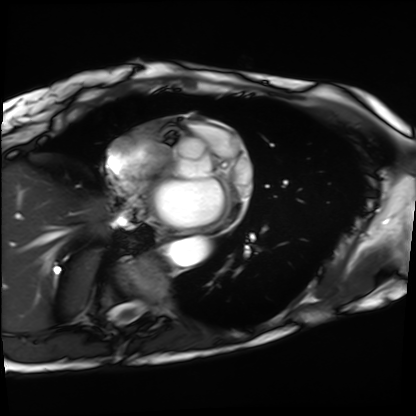
Cardiac MRI.
Subject group: patient.